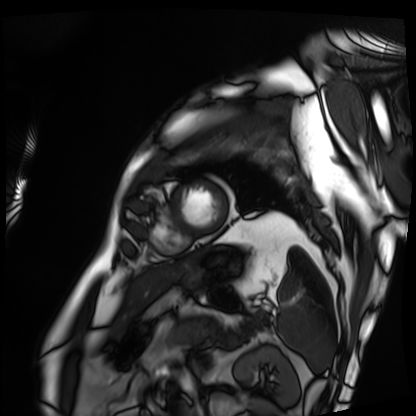
Cardiac MRI.
Subject group: patient.